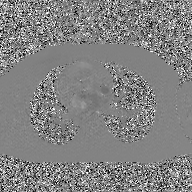
| field | value |
|---|---|
| modality | 2D phase-contrast cine MRI of the ascending aorta, GAN super-resolution reconstruction |